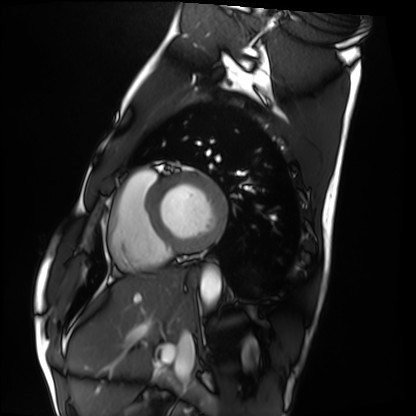
Clinical context:
Cardiac MRI. Subject group: healthy volunteer.